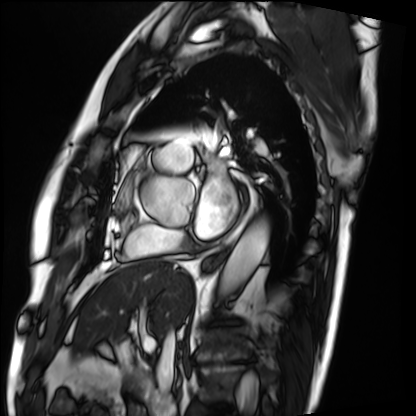
| field | value |
|---|---|
| modality | cardiac MRI |
| subject group | patient |